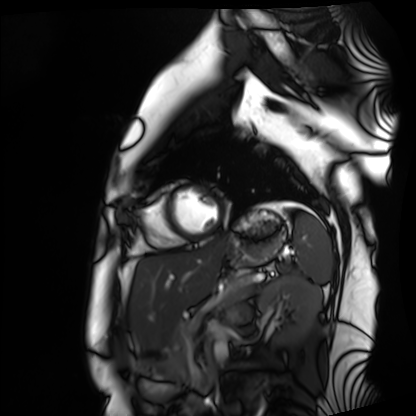
Cardiac MRI. Subject group: healthy volunteer.